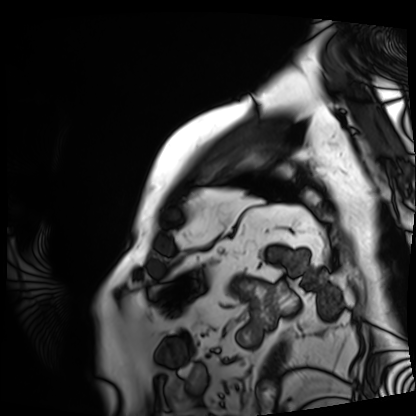
Cardiac MRI.
Subject group: patient.